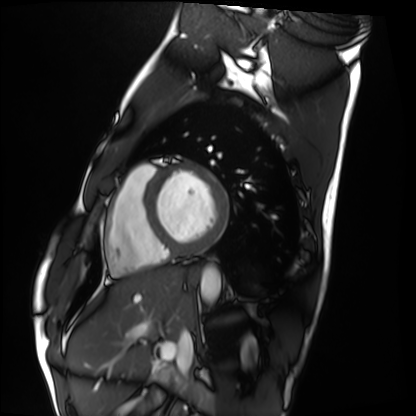
Cardiac MRI. Subject group: healthy volunteer.